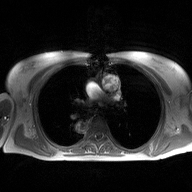
Case summary:
2D phase-contrast cine MRI of the ascending aorta, high-resolution GRAPPA acquisition.